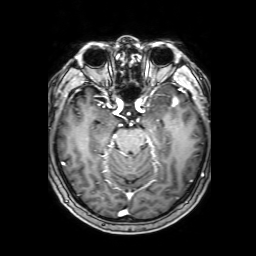
Clinical context:
3 Tesla brain MRI. Series: 3D T1-weighted with SENSE. Study: ring-enhancing brain masses.